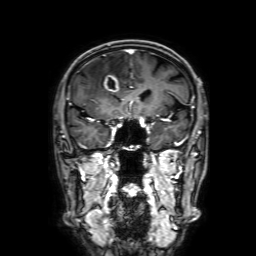
3 Tesla brain MRI.
Series: 3D T1-weighted with SENSE.
Study: ring-enhancing brain masses.